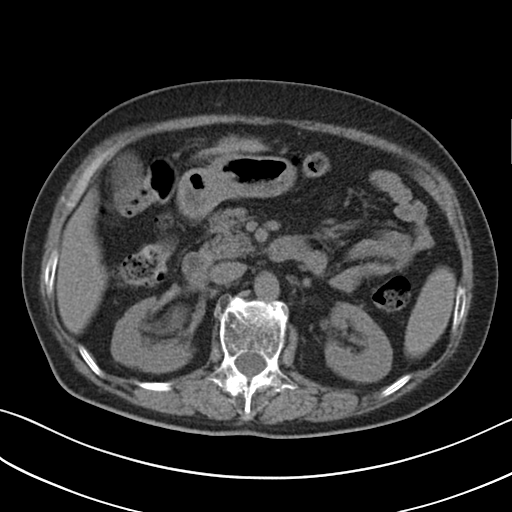
modality: multiphase abdominal CT, liver, non-contrast phase; patient: female, age 76; history: viral hepatitis.